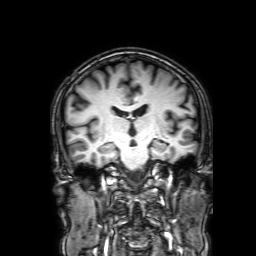
* modality: 3 Tesla brain MRI
* series: 3D T1-weighted with SENSE
* study: ring-enhancing brain masses